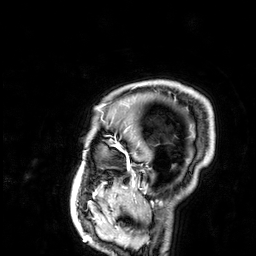
modality: 3 Tesla brain MRI | series: 3D T1-weighted | study: ring-enhancing brain masses.